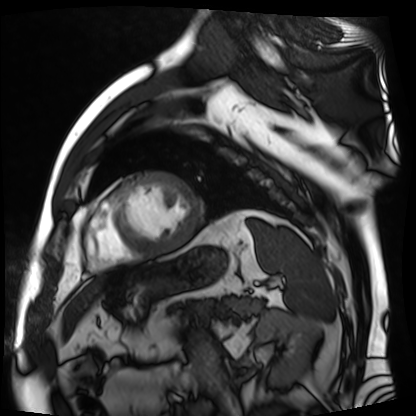
Clinical context:
Cardiac MR image of the myocardium. Subject cohort: cardiac patient.